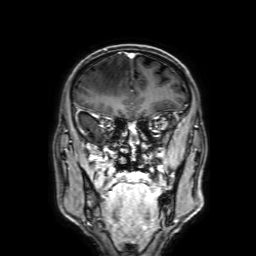
Case summary:
3 Tesla brain MRI. Series: 3D T1-weighted with SENSE. Study: ring-enhancing brain masses.